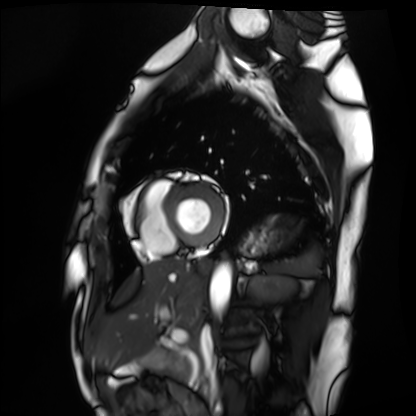
Cardiac MRI. Subject group: healthy volunteer.